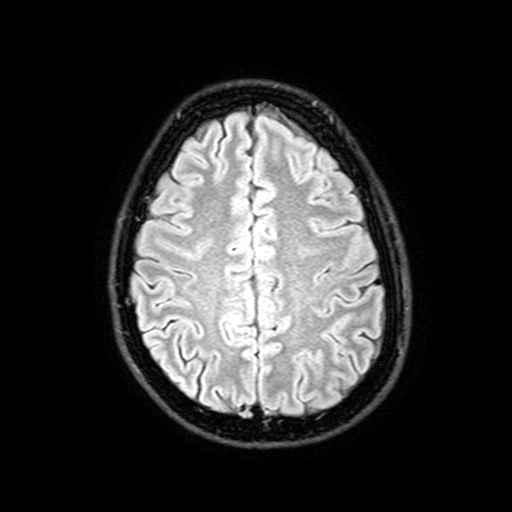
3 Tesla brain MRI.
Series: FLAIR with SPAIR, 3 mm.
Study: ring-enhancing brain masses.